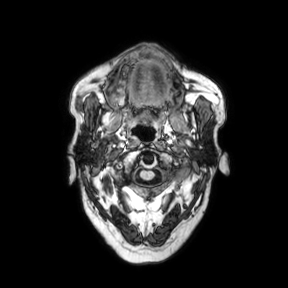
Clinical context: 3 Tesla brain MRI. Series: axial. Study: ring-enhancing brain masses.